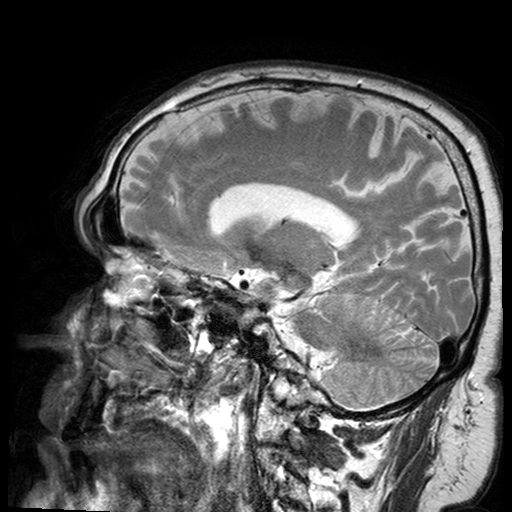
Q: What kind of scan is this?
A: 3 Tesla brain MRI.
Q: Series?
A: T2-weighted turbo spin echo with SENSE.
Study: ring-enhancing brain masses.